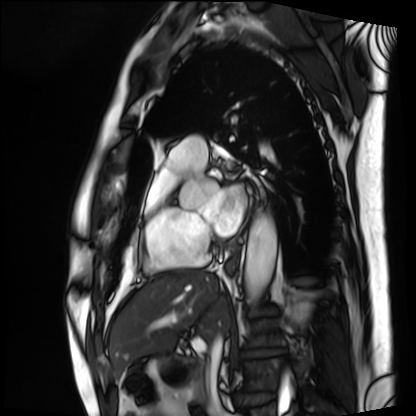
Cardiac MRI. Subject group: patient.